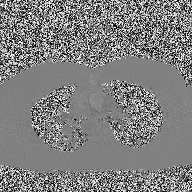
Summary: 2D phase-contrast cine MRI of the ascending aorta, high-resolution GRAPPA acquisition.